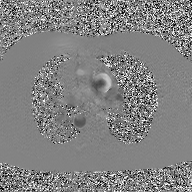
Q: What kind of scan is this?
A: 2D phase-contrast cine MRI of the ascending aorta, GAN super-resolution reconstruction.